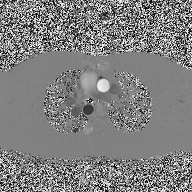
2D phase-contrast cine MRI of the ascending aorta, high-resolution GRAPPA acquisition.